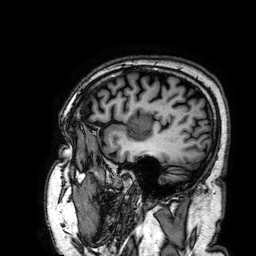
Case summary: 3 Tesla brain MRI. Series: 3D T1-weighted. Study: ring-enhancing brain masses.